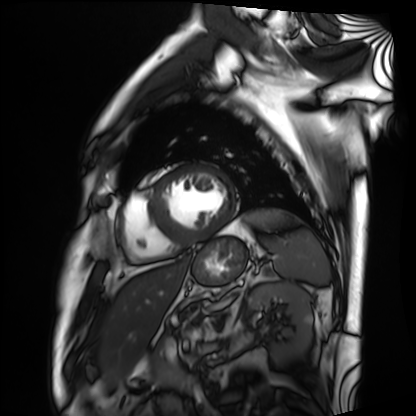
Cardiac MRI. Subject group: patient.